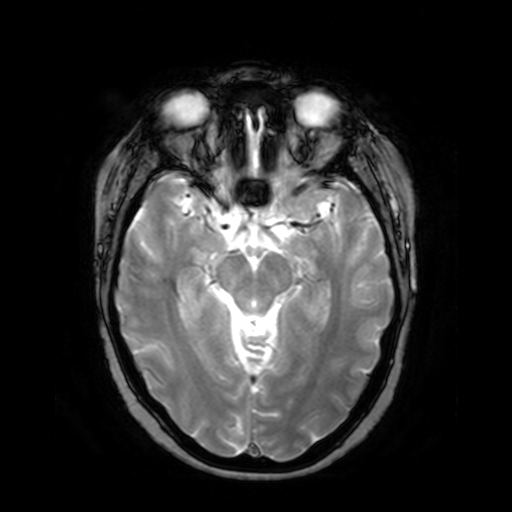
  modality:
    type: brain MRI
    field_strength: 3T
  series: T2-weighted fast field echo
  study_topic: ring-enhancing brain masses